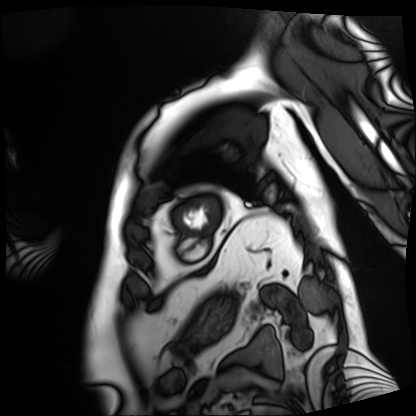
Case summary:
Cardiac MRI. Subject group: patient.